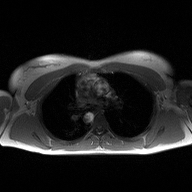
| field | value |
|---|---|
| modality | 2D phase-contrast cine MRI of the ascending aorta |